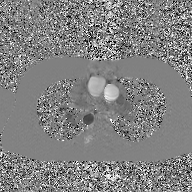
• modality — 2D phase-contrast cine MRI of the ascending aorta, GAN super-resolution reconstruction